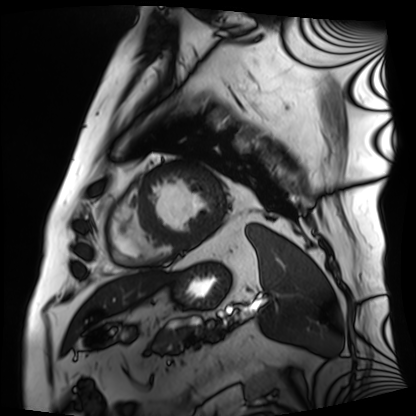
Cardiac MRI. Subject group: patient.